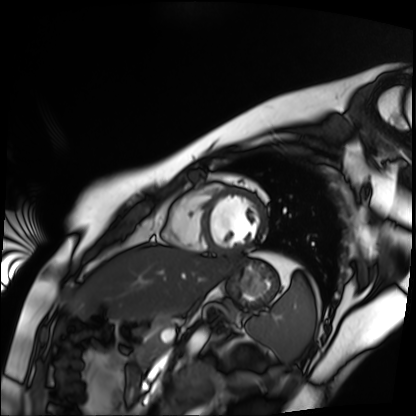
modality = cardiac MR image of the myocardium; subject cohort = healthy volunteer.